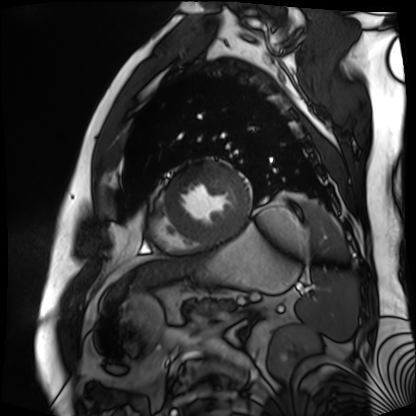
Summary: Cardiac MR image of the myocardium. Subject cohort: cardiac patient.